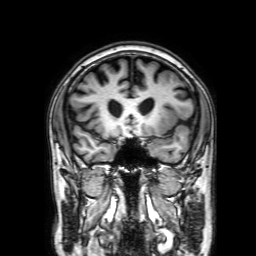
3 Tesla brain MRI. Series: 3D T1-weighted with SENSE. Study: ring-enhancing brain masses.